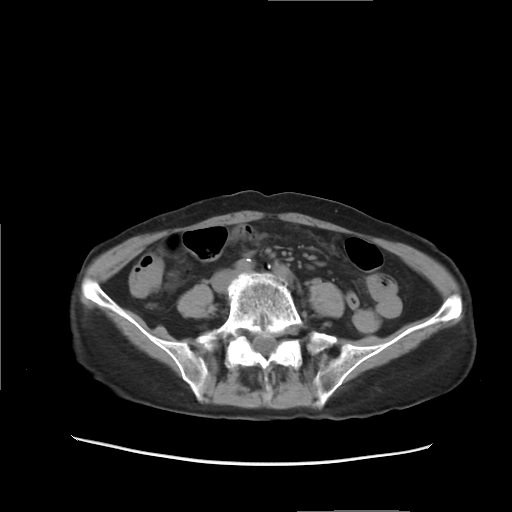
Multiphase abdominal CT, liver, non-contrast phase. Patient: female, age 68.